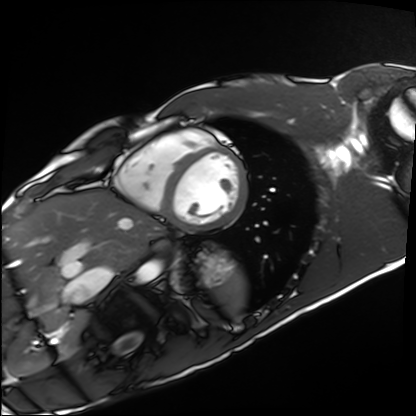
Q: What kind of scan is this?
A: Cardiac MRI.
Subject group: healthy volunteer.